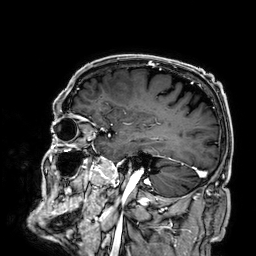
Case summary:
3 Tesla brain MRI. Series: 3D T1-weighted. Study: ring-enhancing brain masses.